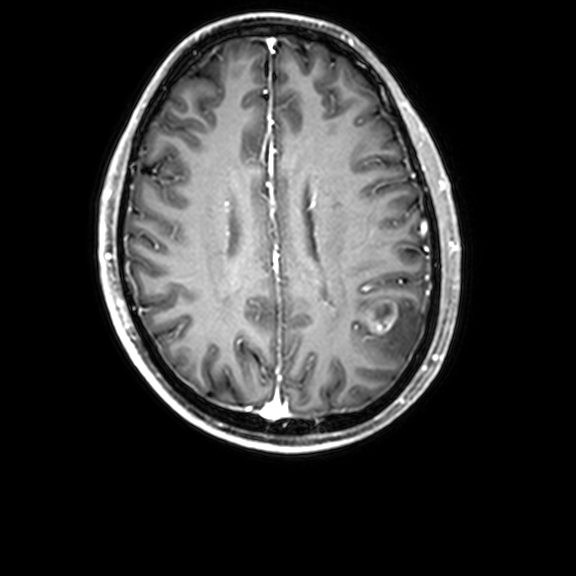
modality=3 Tesla brain MRI; series=3D T1-weighted with CLEAR; study=ring-enhancing brain masses.